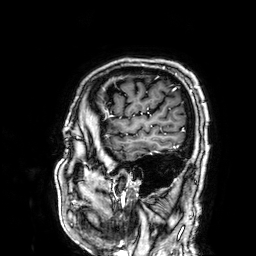
Summary:
3 Tesla brain MRI. Series: 3D T1-weighted. Study: ring-enhancing brain masses.